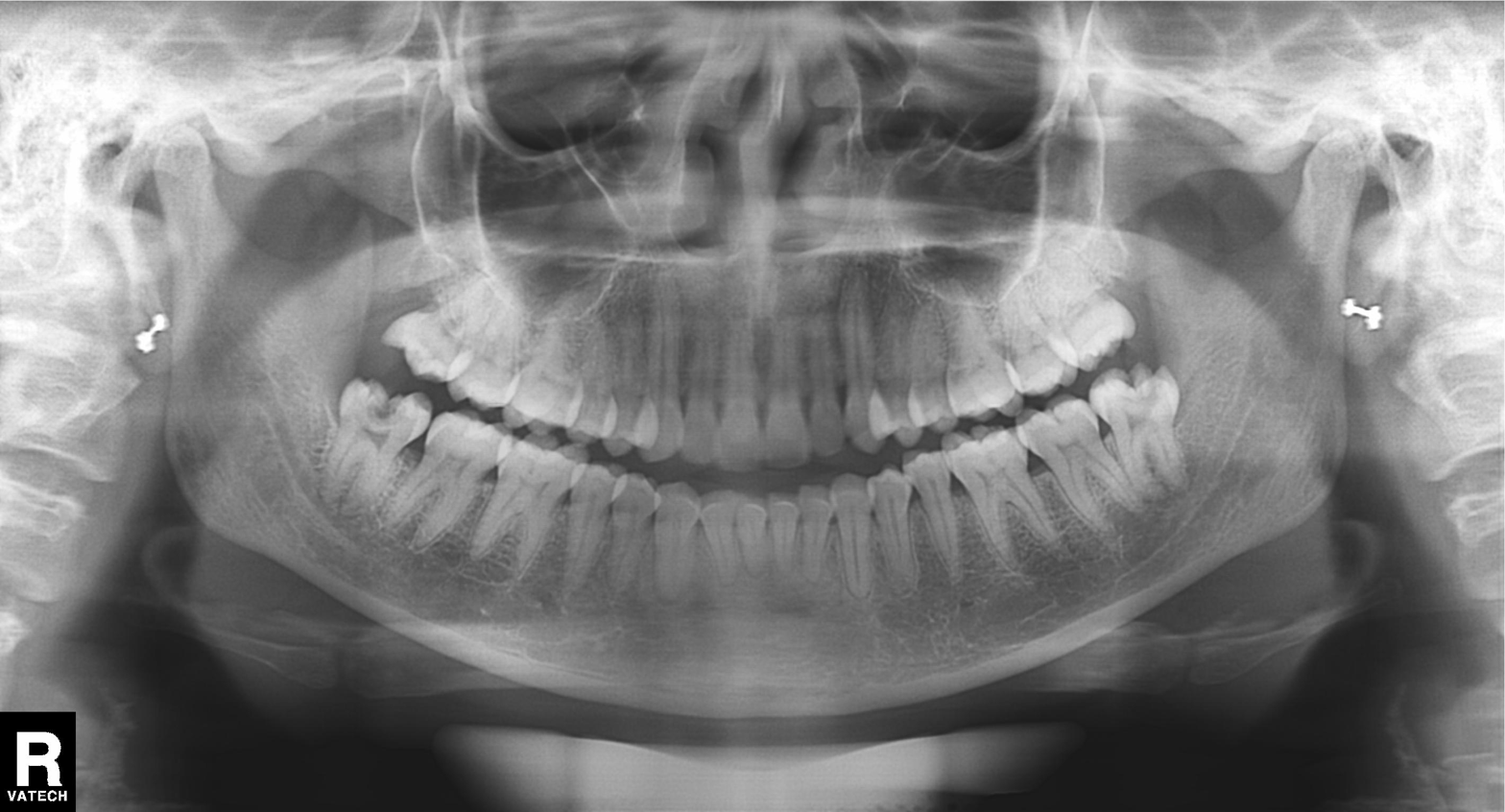
{"modality": "panoramic dental radiograph (orthopantomogram)", "finding": "dental caries (cavities)"}